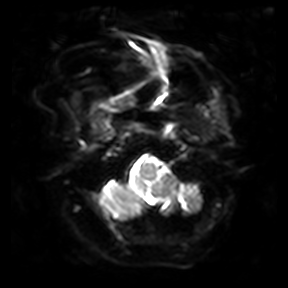
Summary:
3 Tesla brain MRI. Series: diffusion-weighted imaging. Study: ring-enhancing brain masses.